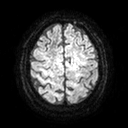
3 Tesla brain MRI.
Series: diffusion tensor imaging (medium iso).
Study: ring-enhancing brain masses.